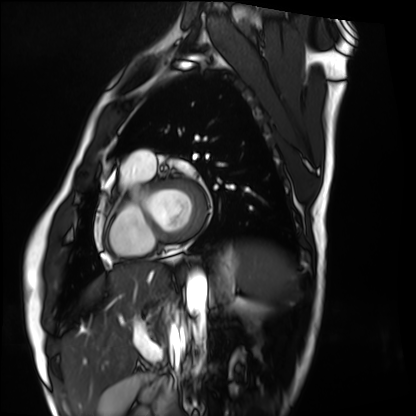
Clinical context:
Cardiac MRI. Subject group: healthy volunteer.